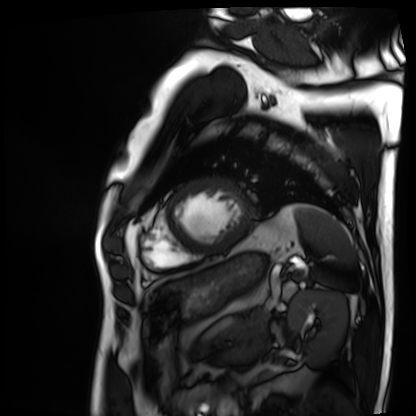
Cardiac MRI. Subject group: patient.